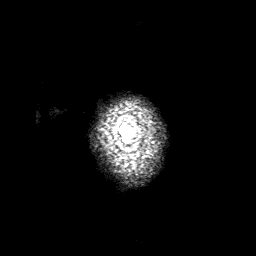
Case summary: 3 Tesla brain MRI. Series: 3D T1-weighted with SENSE. Study: ring-enhancing brain masses.